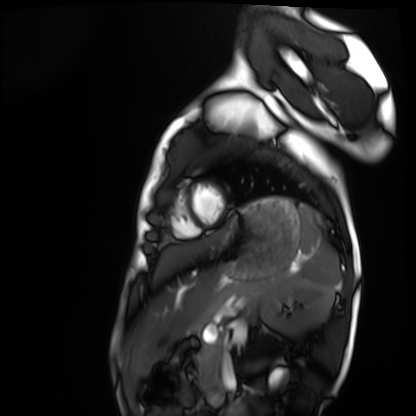
* modality: cardiac MRI
* subject group: healthy volunteer